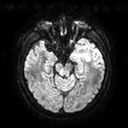
| field | value |
|---|---|
| modality | 3 Tesla brain MRI |
| series | diffusion tensor imaging (medium iso) |
| study | ring-enhancing brain masses |